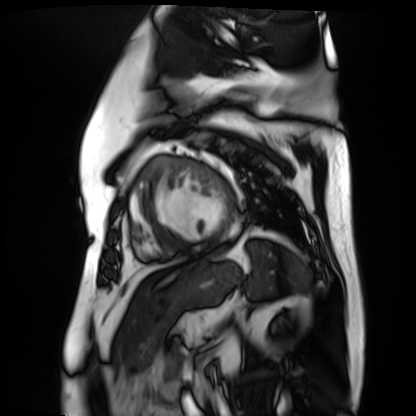
Summary: Cardiac MR image of the myocardium. Subject cohort: cardiac patient.